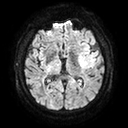
modality: 3 Tesla brain MRI | series: diffusion tensor imaging (medium iso) | study: ring-enhancing brain masses.